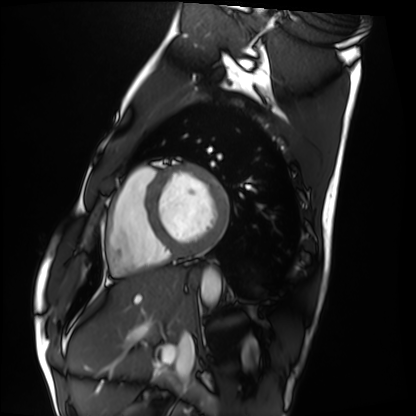
Case summary:
Cardiac MRI. Subject group: healthy volunteer.